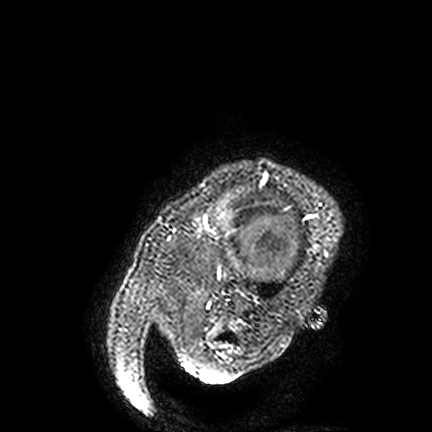
Summary:
3 Tesla brain MRI. Series: FLAIR VISTA. Study: ring-enhancing brain masses.